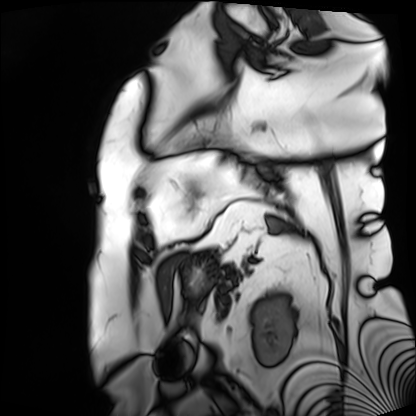
<scan>
<modality>cardiac MRI</modality>
<cohort>patient</cohort>
</scan>